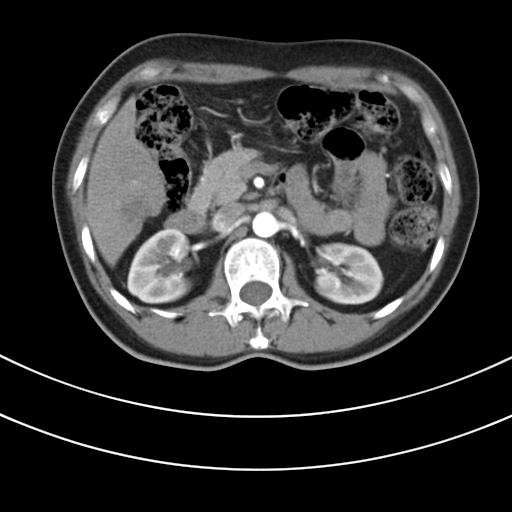
modality=multiphase abdominal CT, liver, arterial phase
patient=female, age 48
history=prior chemotherapy